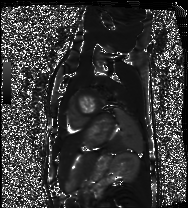
Cardiac MRI.
Subject group: healthy volunteer.